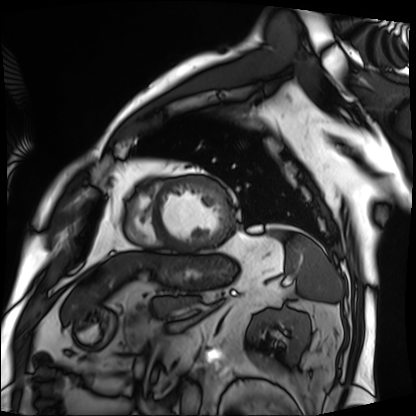
Cardiac MRI. Subject group: patient.